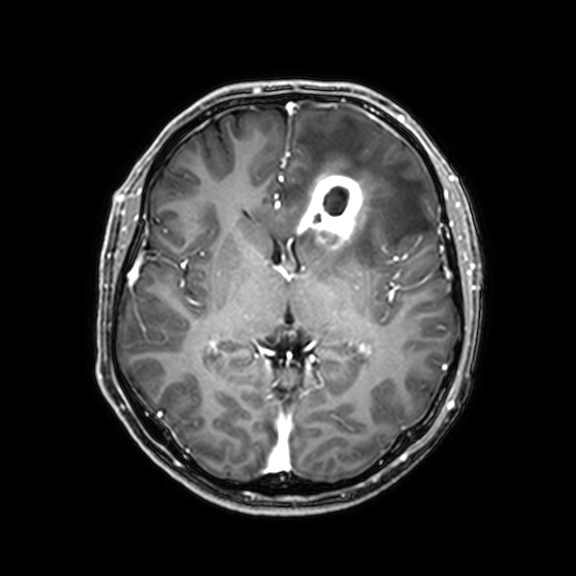
– modality: 3 Tesla brain MRI
– series: 3D T1-weighted with CLEAR
– study: ring-enhancing brain masses